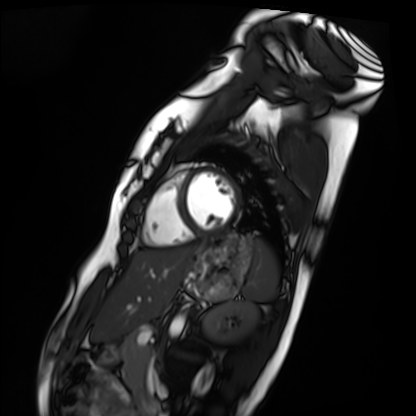
Cardiac MRI. Subject group: healthy volunteer.